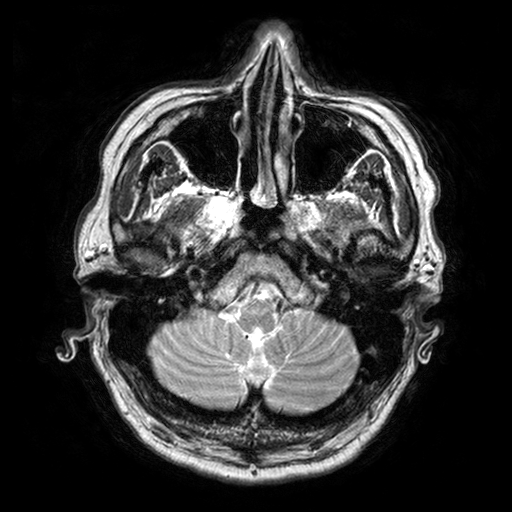
modality:
  type: brain MRI
  field_strength: 3T
series: T2-weighted turbo spin echo with SENSE
study_topic: ring-enhancing brain masses